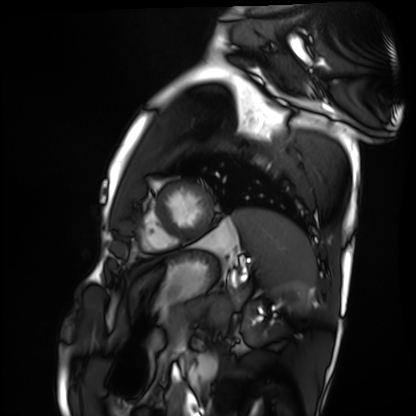
Cardiac MRI. Subject group: healthy volunteer.